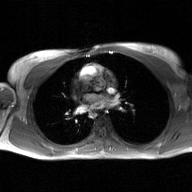
Case summary: 2D phase-contrast cine MRI of the ascending aorta, GAN super-resolution reconstruction.